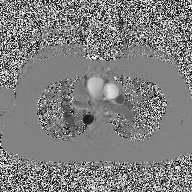
modality: 2D phase-contrast cine MRI of the ascending aorta.